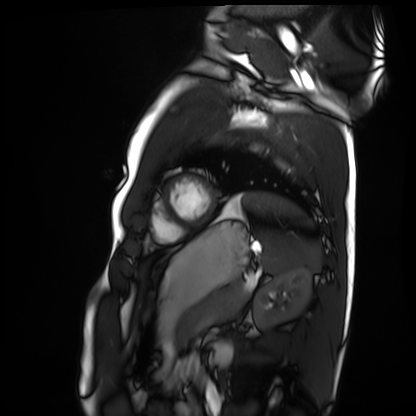
| field | value |
|---|---|
| modality | cardiac MRI |
| subject group | healthy volunteer |